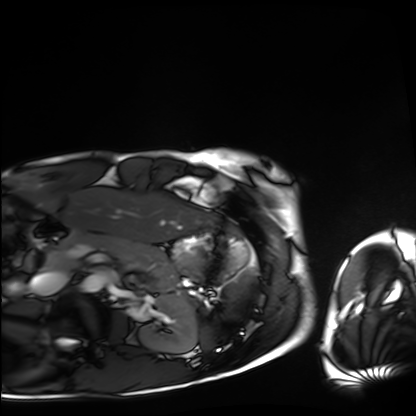
* modality: cardiac MRI
* subject group: healthy volunteer